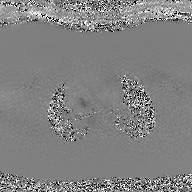
modality — 2D phase-contrast cine MRI of the ascending aorta, GAN super-resolution reconstruction